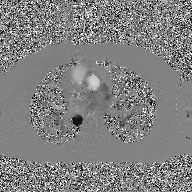
2D phase-contrast cine MRI of the ascending aorta, GAN super-resolution reconstruction.